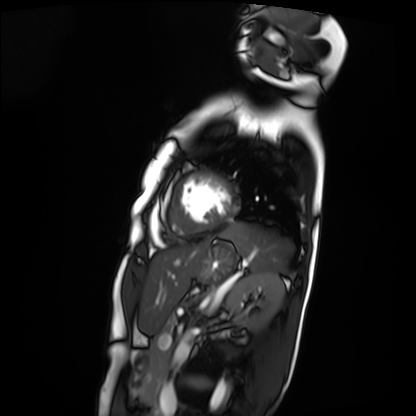
Q: What kind of scan is this?
A: Cardiac MRI.
Subject group: patient.